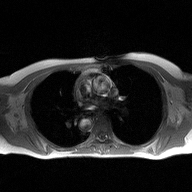
modality: 2D phase-contrast cine MRI of the ascending aorta.